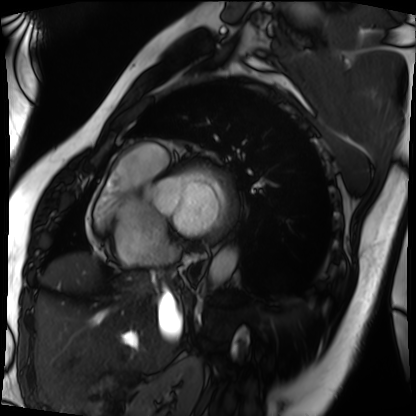
Cardiac MRI.
Subject group: patient.